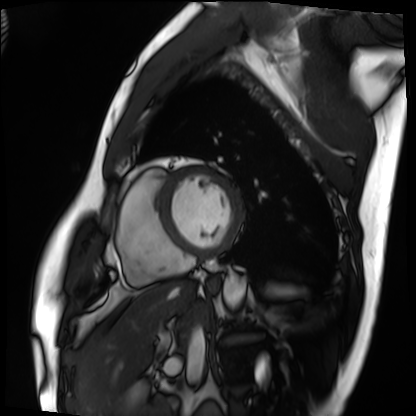
Cardiac MRI. Subject group: patient.